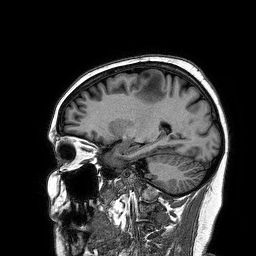
modality = 3 Tesla brain MRI
series = 3D T1-weighted turbo field echo
study = ring-enhancing brain masses